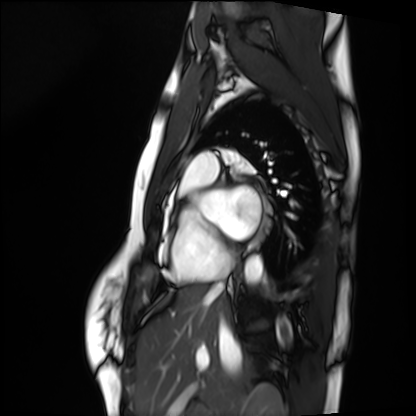
Case summary: Cardiac MRI. Subject group: healthy volunteer.